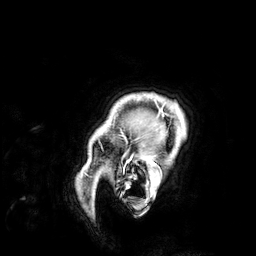
| field | value |
|---|---|
| modality | 3 Tesla brain MRI |
| series | 3D T1-weighted |
| study | ring-enhancing brain masses |